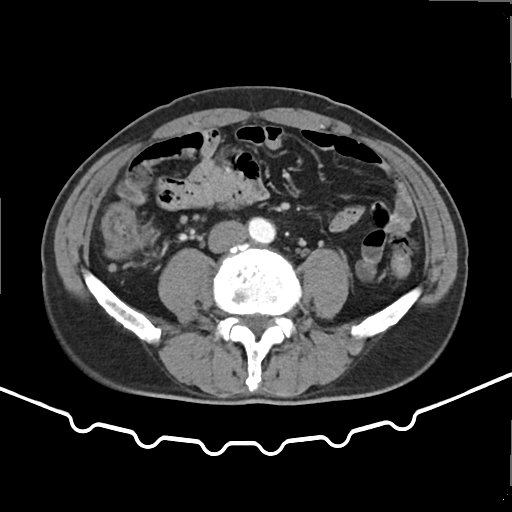
– modality · multiphase abdominal CT, liver, arterial phase
– patient · male, age 62